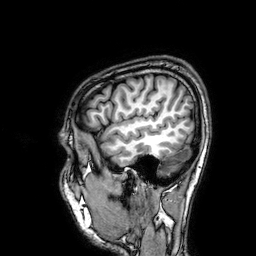
3 Tesla brain MRI.
Series: 3D T1-weighted.
Study: ring-enhancing brain masses.